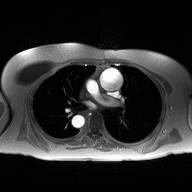
2D phase-contrast cine MRI of the ascending aorta, high-resolution GRAPPA acquisition.